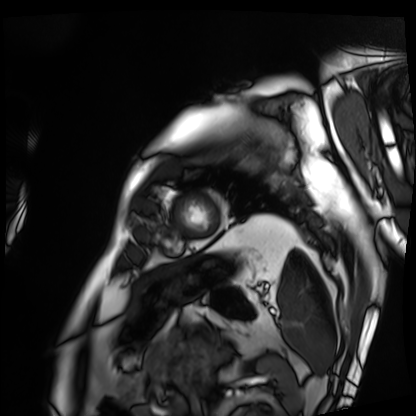
Cardiac MRI.
Subject group: patient.